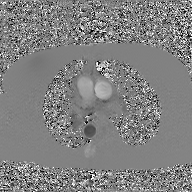
modality = 2D phase-contrast cine MRI of the ascending aorta, GAN super-resolution reconstruction.